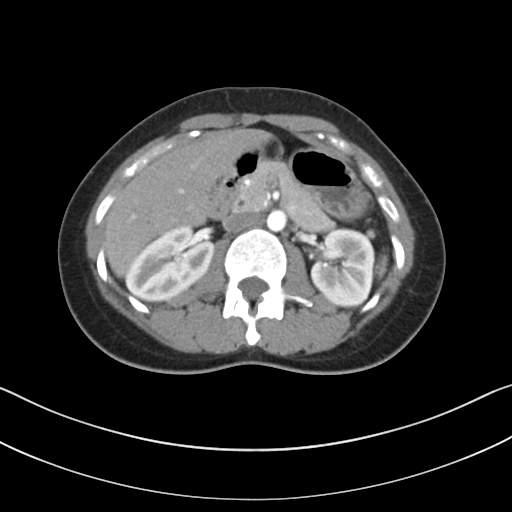
modality = multiphase abdominal CT, liver, arterial phase; patient = female, age 34.